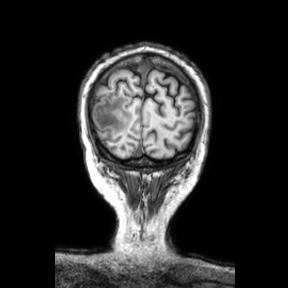
Summary: 3 Tesla brain MRI. Series: coronal. Study: ring-enhancing brain masses.